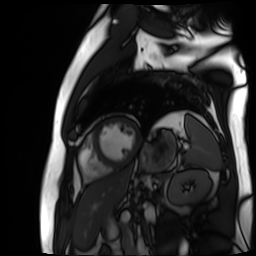
Cardiac MR image of the myocardium.
Subject cohort: cardiac patient.